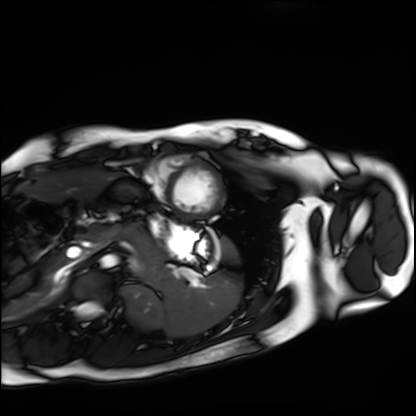
Case summary:
Cardiac MRI. Subject group: healthy volunteer.